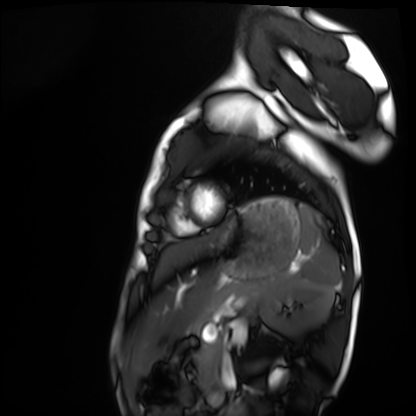
Summary:
Cardiac MRI. Subject group: healthy volunteer.